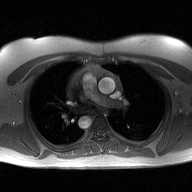
Clinical context: 2D phase-contrast cine MRI of the ascending aorta, high-resolution GRAPPA acquisition.